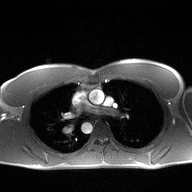
Summary:
2D phase-contrast cine MRI of the ascending aorta, high-resolution GRAPPA acquisition.